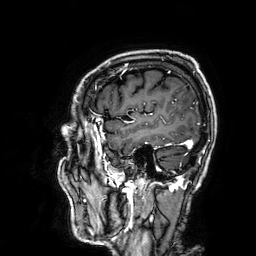
Clinical context: 3 Tesla brain MRI. Series: 3D T1-weighted. Study: ring-enhancing brain masses.